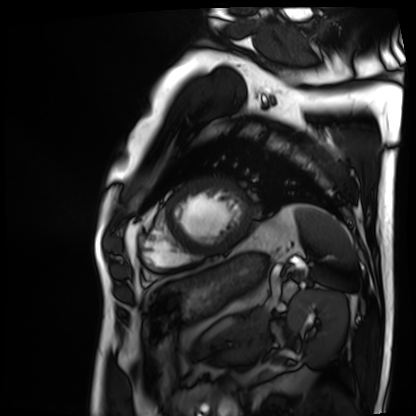
Clinical context: Cardiac MRI. Subject group: patient.